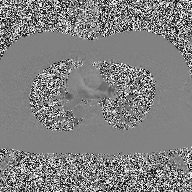
modality — 2D phase-contrast cine MRI of the ascending aorta.